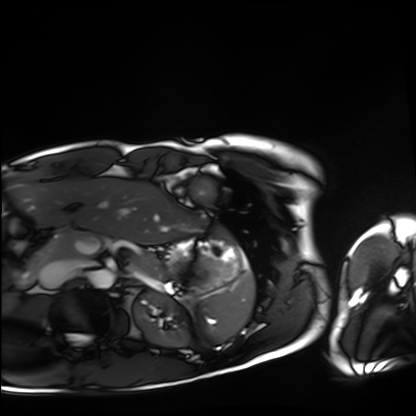
Cardiac MRI.
Subject group: healthy volunteer.